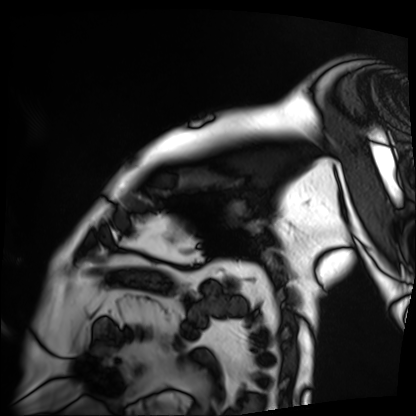
modality = cardiac MRI
subject group = patient